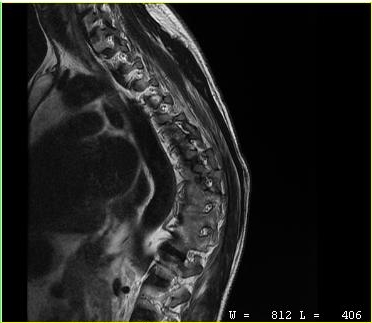
MRI of the cervical spine. Study: cervical spondylosis.